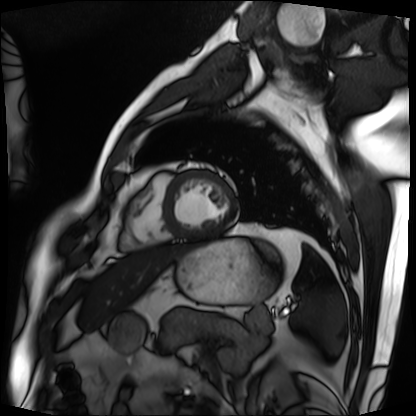
Cardiac MRI. Subject group: patient.